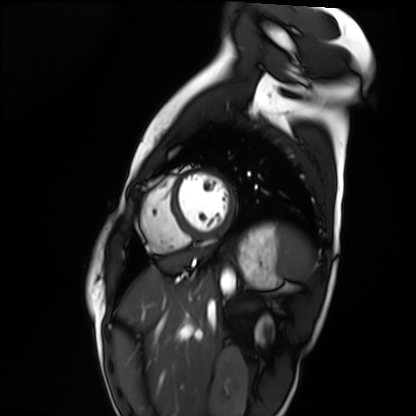
modality: cardiac MRI | subject group: healthy volunteer.